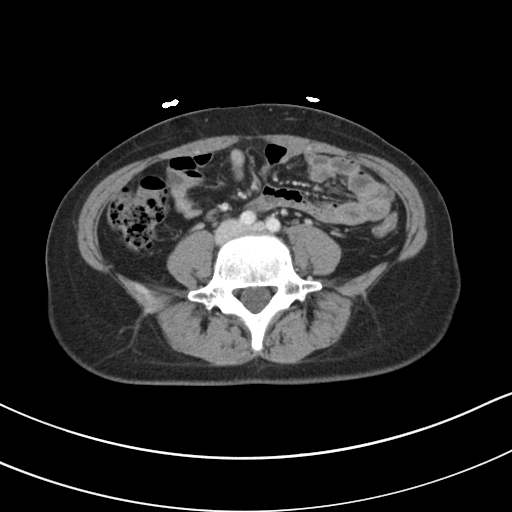
Multiphase abdominal CT, liver, portal venous phase. Patient: female, age 33. History: prior chemotherapy.